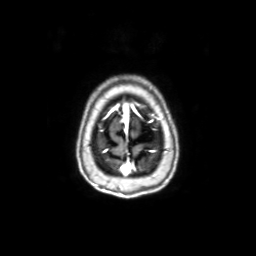
3 Tesla brain MRI. Series: axial with contrast. Study: ring-enhancing brain masses.